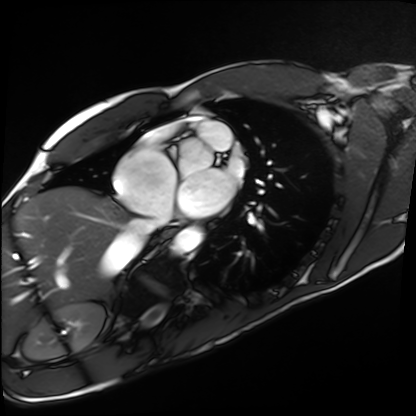
{"modality": "cardiac MRI", "cohort": "healthy volunteer"}